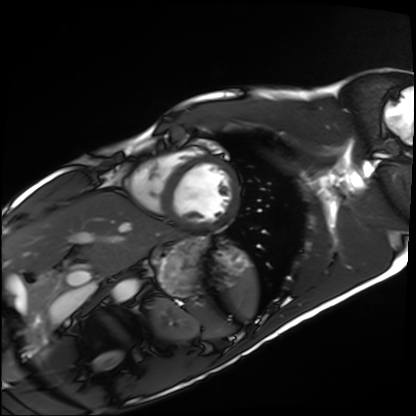
Cardiac MRI.
Subject group: healthy volunteer.